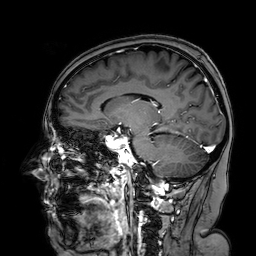
Q: What kind of scan is this?
A: 3 Tesla brain MRI.
Q: Series?
A: 3D T1-weighted turbo field echo with SENSE.
Study: ring-enhancing brain masses.